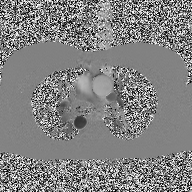
| field | value |
|---|---|
| modality | 2D phase-contrast cine MRI of the ascending aorta |